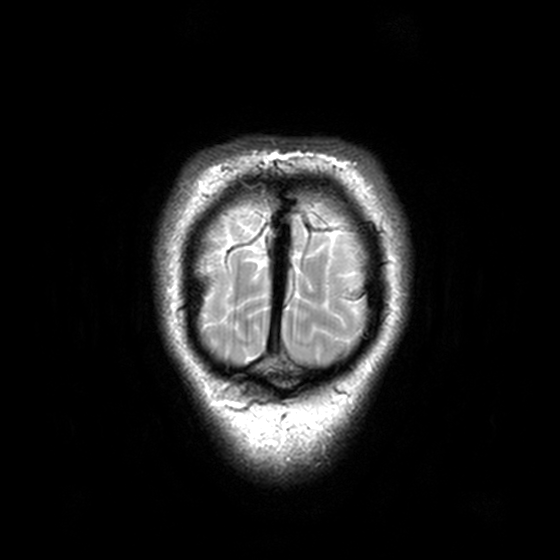
modality: 3 Tesla brain MRI; series: T2-weighted turbo spin echo, 3 mm; study: ring-enhancing brain masses.